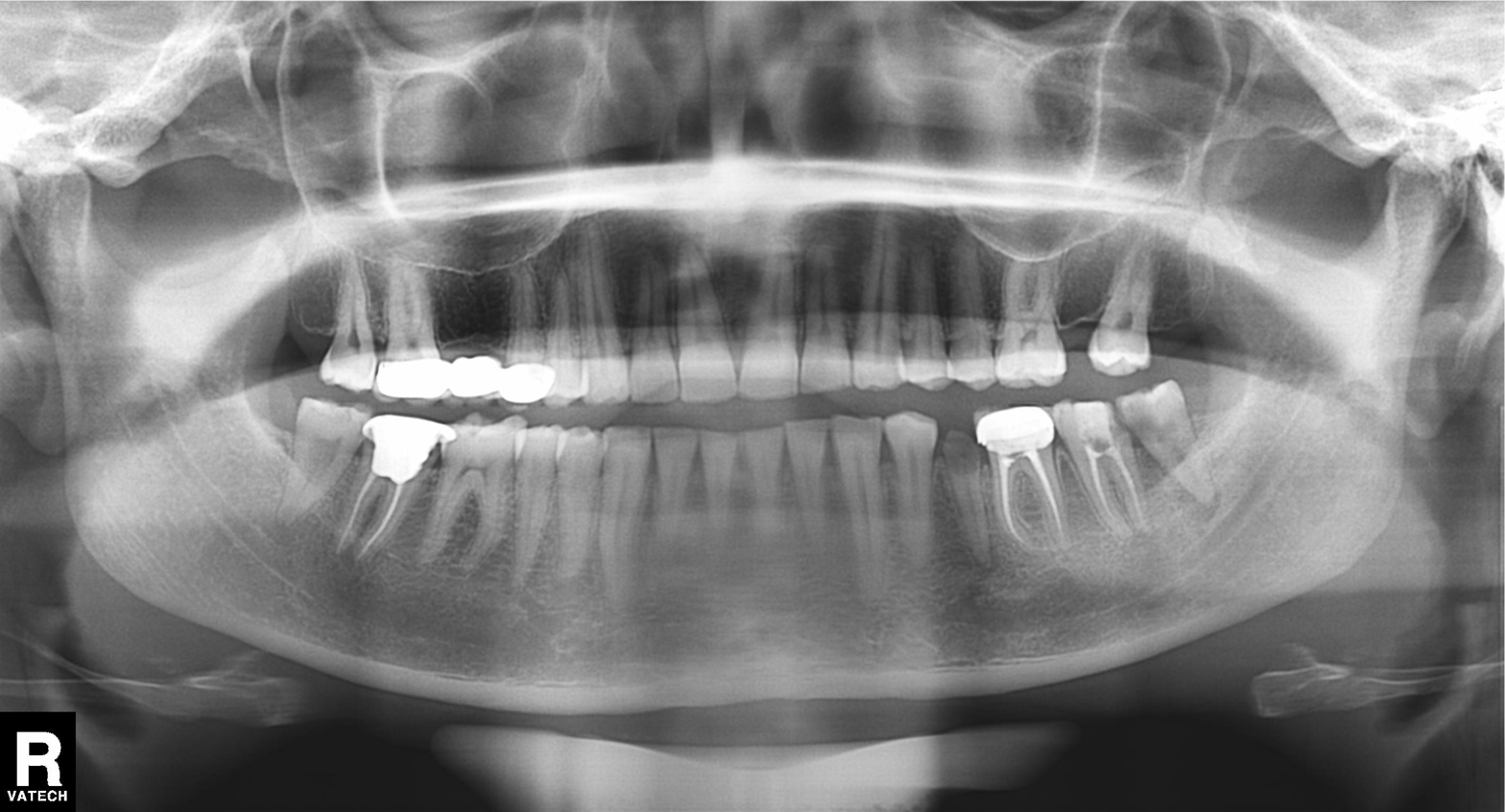
Summary:
Panoramic dental radiograph (orthopantomogram).
Impression:
Dental caries (cavities).